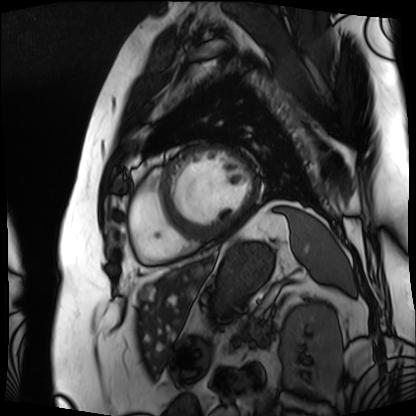
modality: cardiac MRI | subject group: patient.